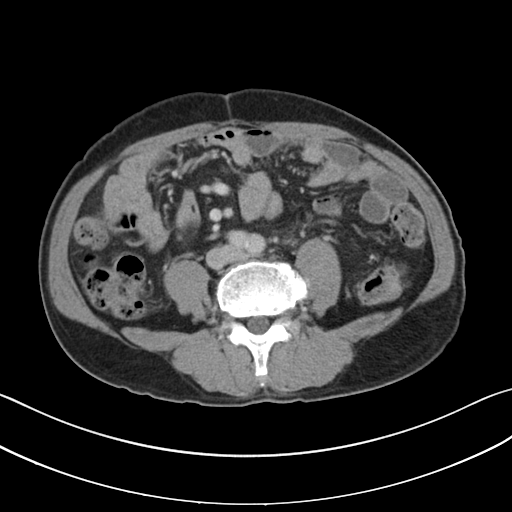
Clinical context:
Multiphase abdominal CT, liver, portal venous phase. Patient: male, age 69.